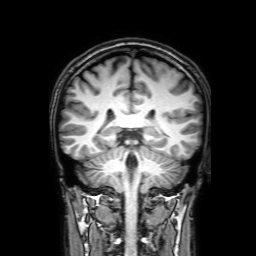
3 Tesla brain MRI. Series: 3D T1-weighted with SENSE. Study: ring-enhancing brain masses.